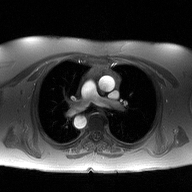
Summary: 2D phase-contrast cine MRI of the ascending aorta, high-resolution GRAPPA acquisition.